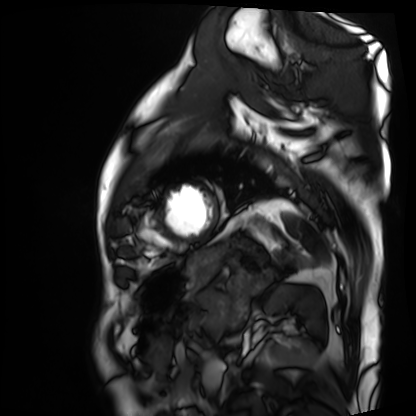
Cardiac MRI.
Subject group: patient.